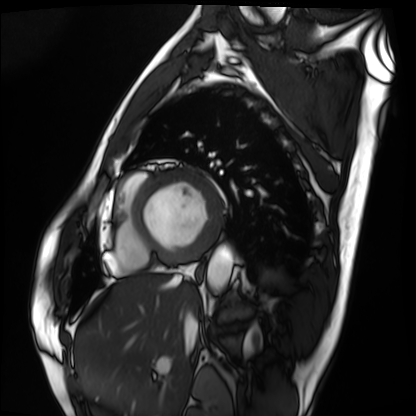
Cardiac MRI.
Subject group: patient.